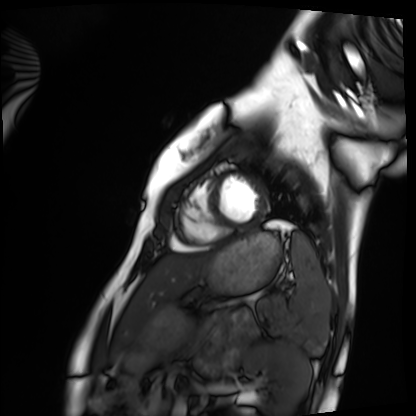
Q: What kind of scan is this?
A: Cardiac MRI.
Subject group: healthy volunteer.